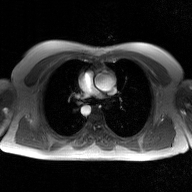
2D phase-contrast cine MRI of the ascending aorta, GAN super-resolution reconstruction.